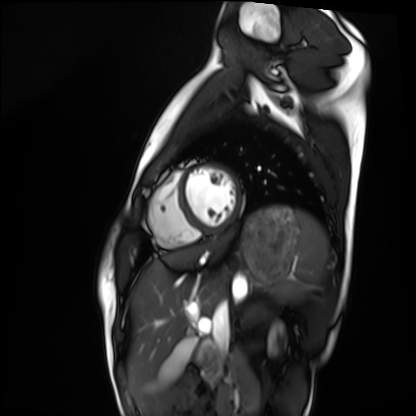
Cardiac MRI.
Subject group: healthy volunteer.